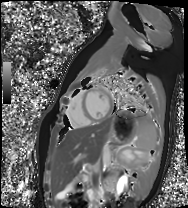
{"modality": "cardiac MR image of the myocardium", "cohort": "healthy volunteer"}